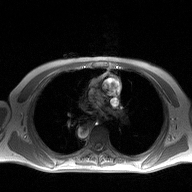
modality = 2D phase-contrast cine MRI of the ascending aorta.